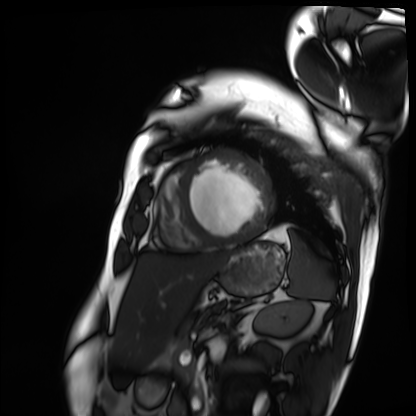
{
  "modality": "cardiac MRI",
  "cohort": "patient"
}